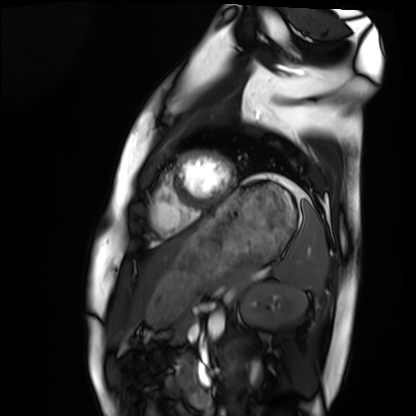
Cardiac MRI.
Subject group: healthy volunteer.